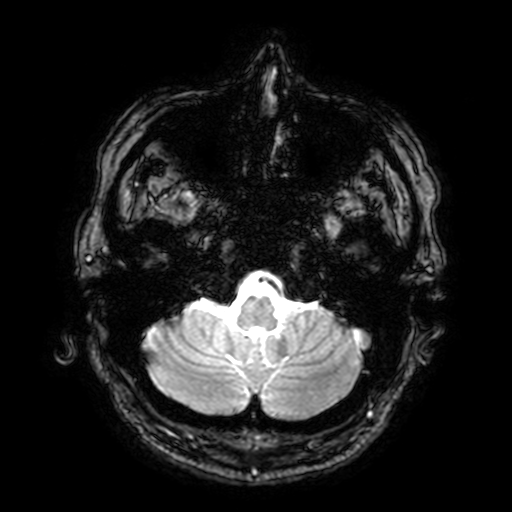
3 Tesla brain MRI. Series: T2-weighted fast field echo with SENSE. Study: ring-enhancing brain masses.